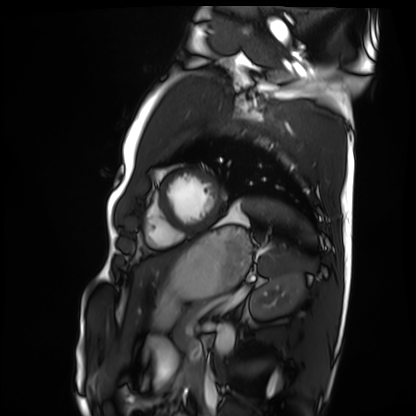
<record>
<modality>cardiac MRI</modality>
<cohort>healthy volunteer</cohort>
</record>